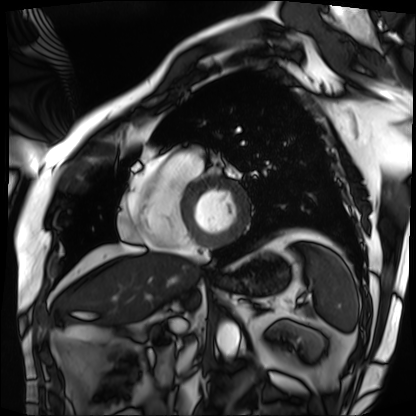
modality: cardiac MRI
cohort: patient